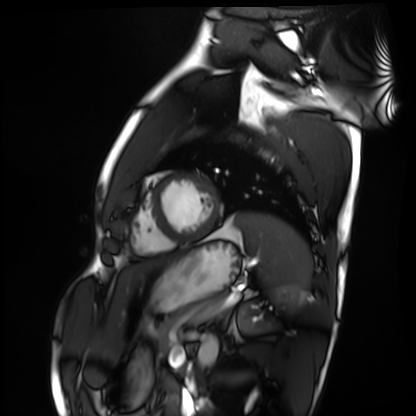
Cardiac MRI.
Subject group: healthy volunteer.